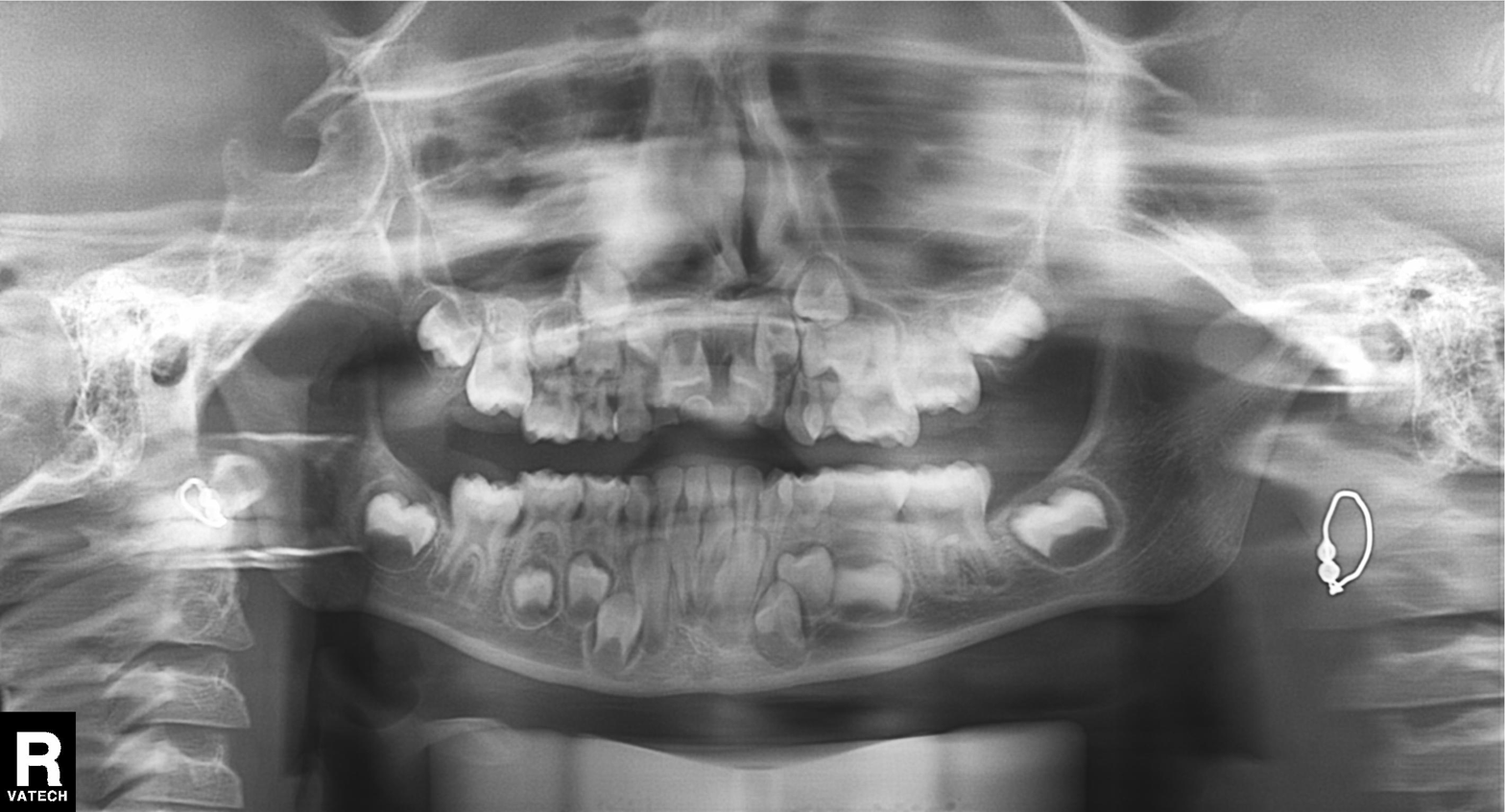
modality=panoramic dental radiograph (orthopantomogram)
finding=tooth impaction